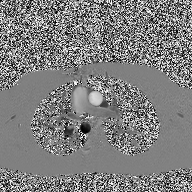
2D phase-contrast cine MRI of the ascending aorta, high-resolution GRAPPA acquisition.